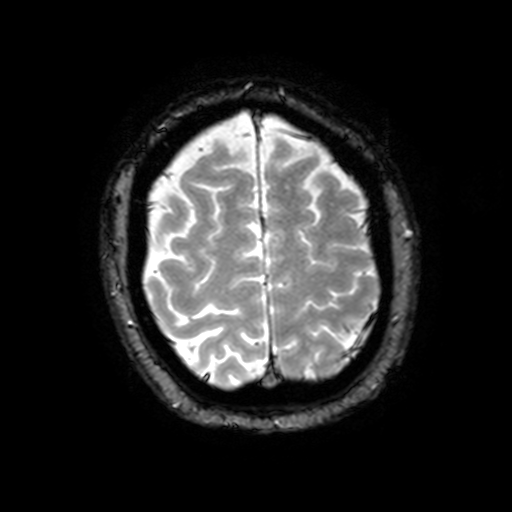
modality = 3 Tesla brain MRI
series = T2-weighted fast field echo with SENSE
study = ring-enhancing brain masses